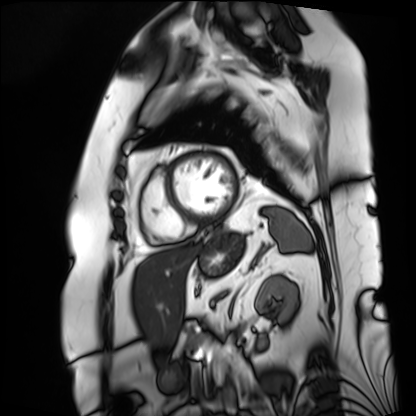
* modality — cardiac MRI
* subject group — patient